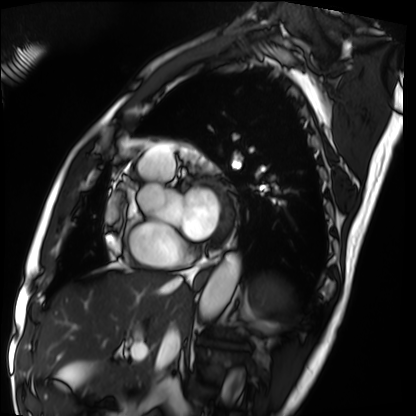
Q: What kind of scan is this?
A: Cardiac MRI.
Subject group: patient.